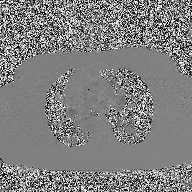
{"modality": {"type": "2D phase-contrast cine MRI", "region": "ascending aorta", "reconstruction": "high-resolution GRAPPA acquisition"}}